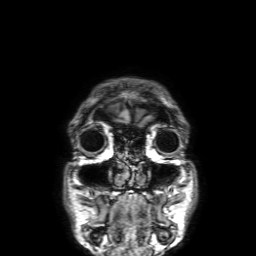
modality = 3 Tesla brain MRI
series = 3D T1-weighted with SENSE
study = ring-enhancing brain masses